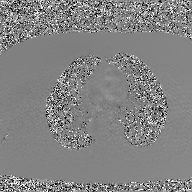
2D phase-contrast cine MRI of the ascending aorta, GAN super-resolution reconstruction.